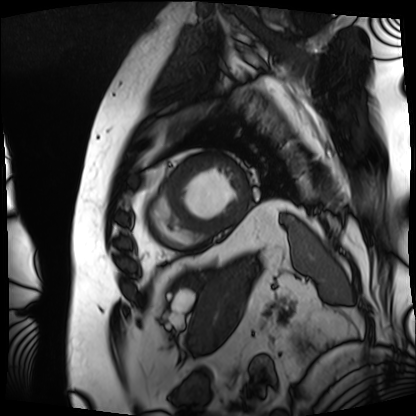
  modality: cardiac MRI
  cohort: patient